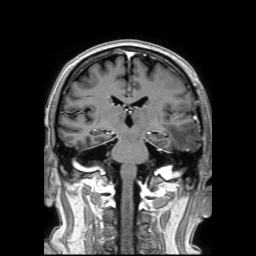
3 Tesla brain MRI.
Series: 3D T1-weighted TFE with SENSE.
Study: ring-enhancing brain masses.